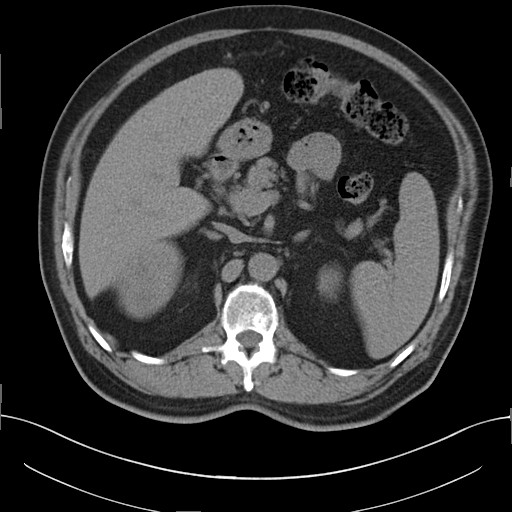
modality: multiphase abdominal CT, liver, non-contrast phase
patient: male, age 56